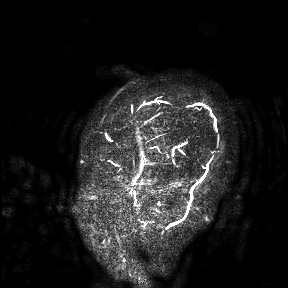
modality — 3 Tesla brain MRI
study — ring-enhancing brain masses